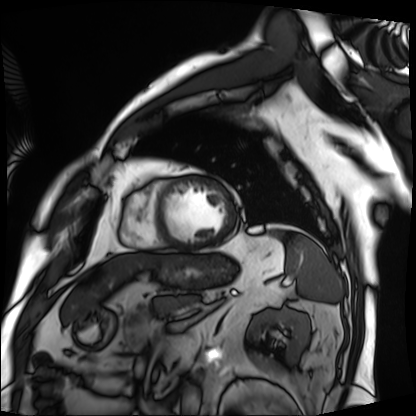
Cardiac MRI. Subject group: patient.